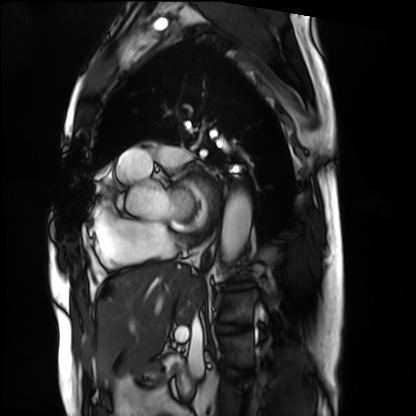
{"modality": "cardiac MRI", "cohort": "patient"}